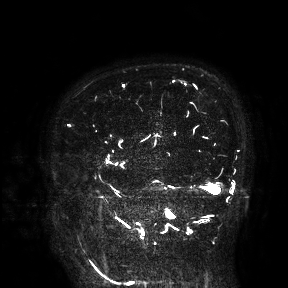
modality — 3 Tesla brain MRI; study — ring-enhancing brain masses.